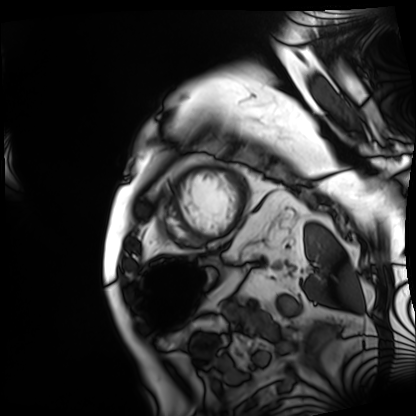
Cardiac MRI. Subject group: patient.